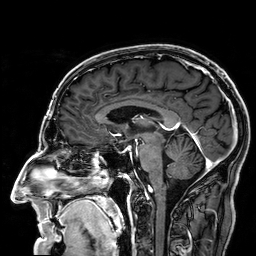
3 Tesla brain MRI.
Series: 3D T1-weighted.
Study: ring-enhancing brain masses.